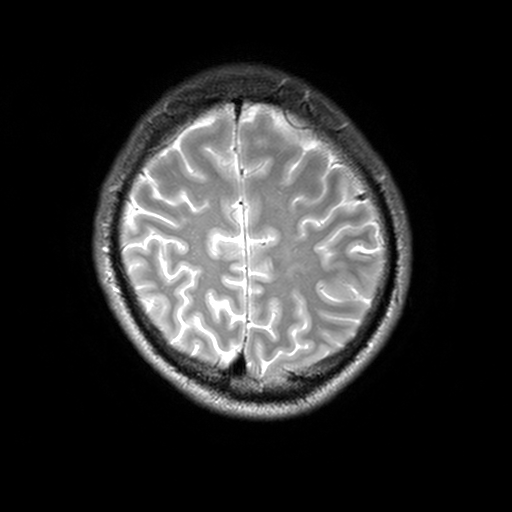
| field | value |
|---|---|
| modality | 3 Tesla brain MRI |
| series | T2-weighted turbo spin echo, 3 mm |
| study | ring-enhancing brain masses |